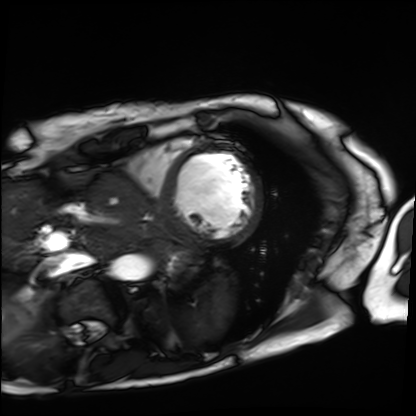
* modality · cardiac MRI
* subject group · patient